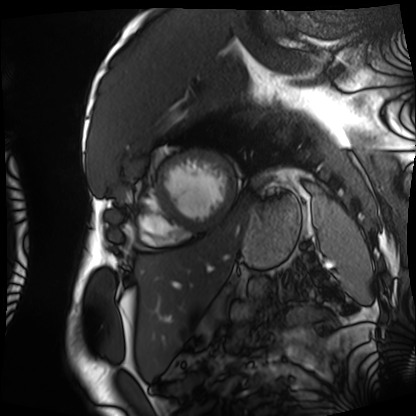
Cardiac MRI.
Subject group: patient.